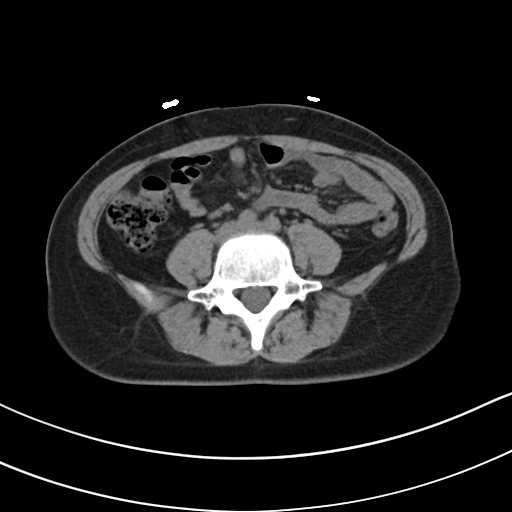
Multiphase abdominal CT, liver, non-contrast phase.
Patient: female, age 33.
History: prior chemotherapy.